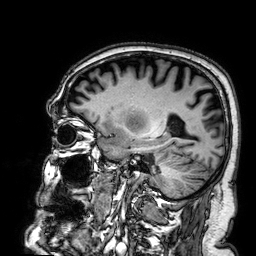
modality: 3 Tesla brain MRI | series: 3D T1-weighted | study: ring-enhancing brain masses.